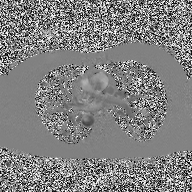
Summary: 2D phase-contrast cine MRI of the ascending aorta, high-resolution GRAPPA acquisition.